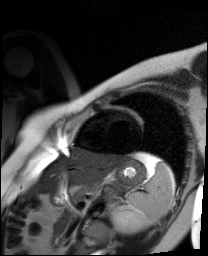
modality: cardiac MR image of the myocardium
cohort: healthy volunteer